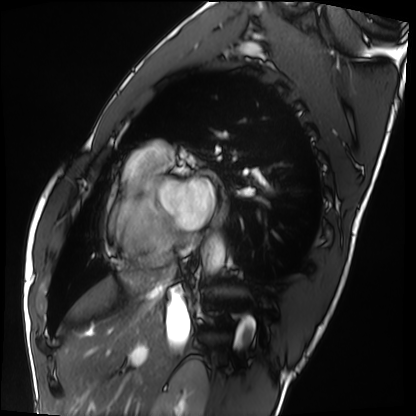
Q: What kind of scan is this?
A: Cardiac MRI.
Subject group: healthy volunteer.